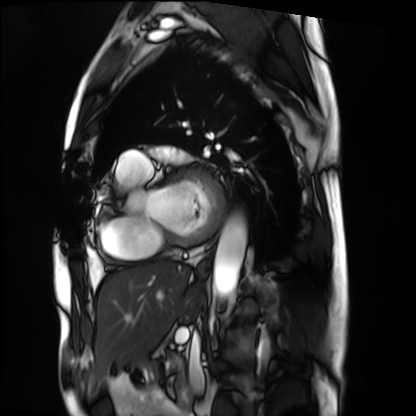
Cardiac MRI.
Subject group: patient.